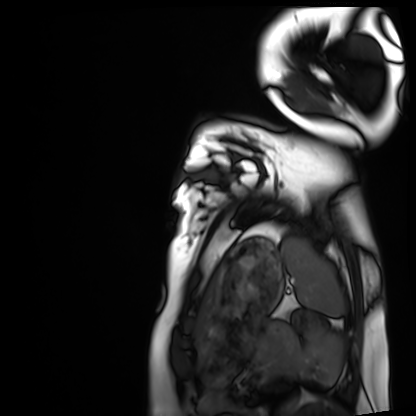
Cardiac MRI. Subject group: healthy volunteer.